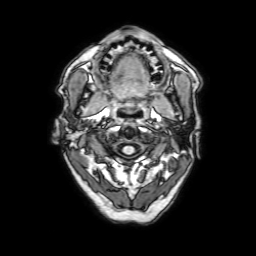
Case summary: 3 Tesla brain MRI. Series: 3D T1-weighted with SENSE. Study: ring-enhancing brain masses.